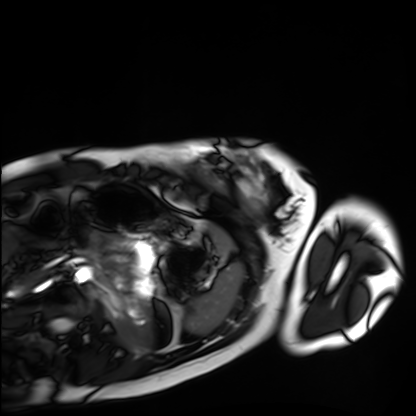
modality: cardiac MRI, subject group: healthy volunteer.